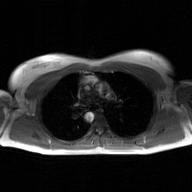
modality: 2D phase-contrast cine MRI of the ascending aorta, GAN super-resolution reconstruction.